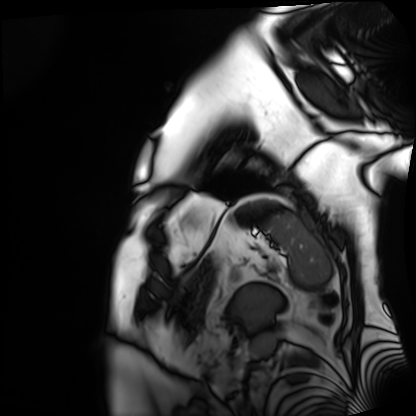
Summary:
Cardiac MRI. Subject group: patient.